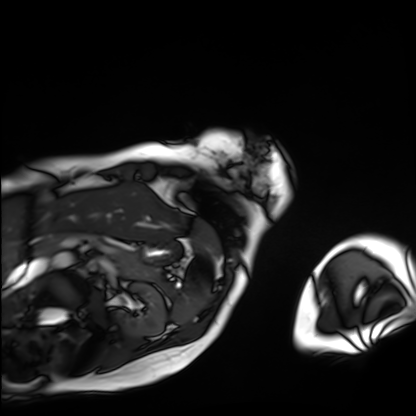
Cardiac MRI.
Subject group: patient.